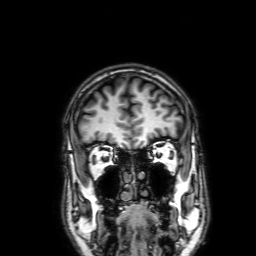
– modality · 3 Tesla brain MRI
– series · 3D T1-weighted with SENSE
– study · ring-enhancing brain masses